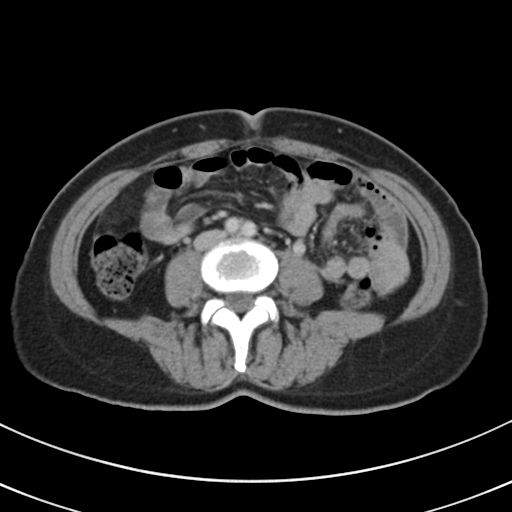
{"modality": {"type": "multiphase abdominal CT", "region": "liver", "phase": "delayed"}}